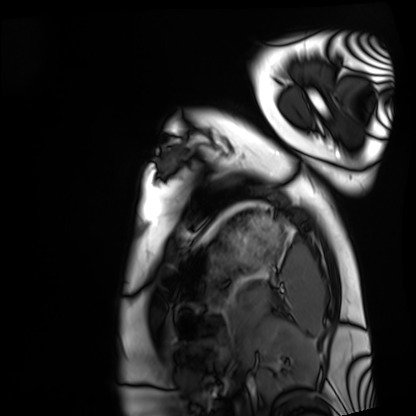
Cardiac MRI. Subject group: healthy volunteer.